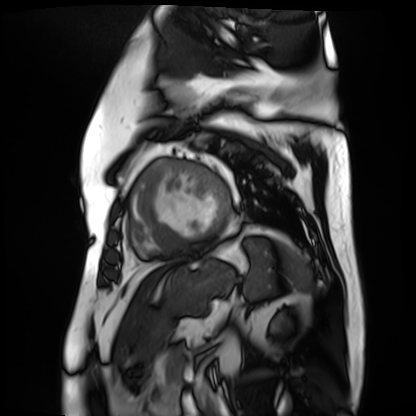
Cardiac MR image of the myocardium.
Subject cohort: cardiac patient.